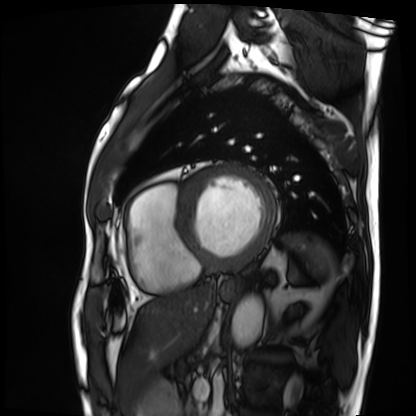
{"modality": "cardiac MRI", "cohort": "patient"}